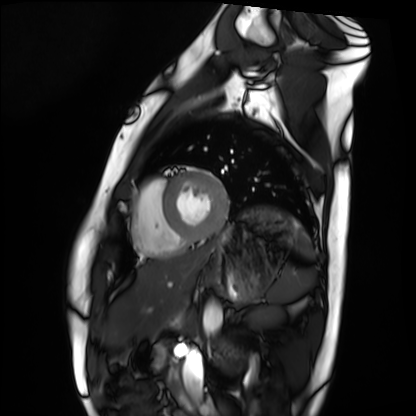
  modality: cardiac MRI
  cohort: healthy volunteer